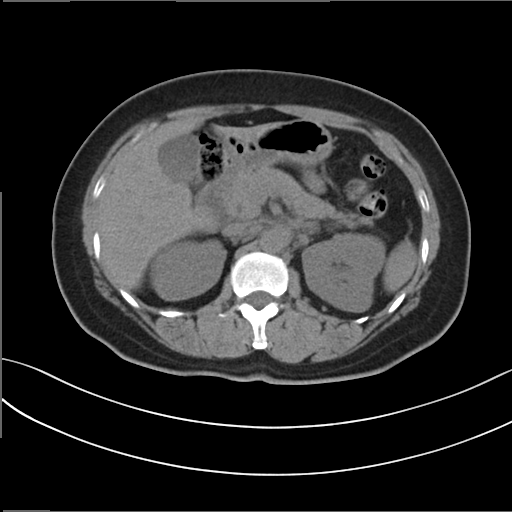
modality = multiphase abdominal CT, liver, non-contrast phase